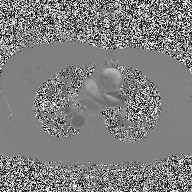
modality=2D phase-contrast cine MRI of the ascending aorta